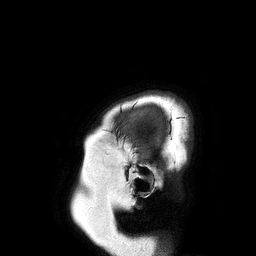
| field | value |
|---|---|
| modality | 3 Tesla brain MRI |
| series | 3D T1-weighted turbo field echo |
| study | ring-enhancing brain masses |